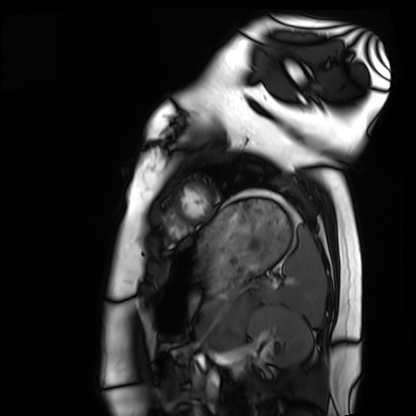
– modality: cardiac MRI
– subject group: healthy volunteer